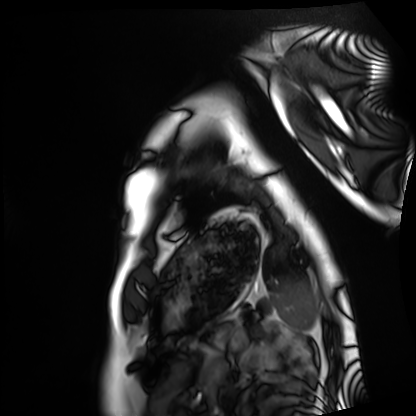
modality=cardiac MRI | subject group=healthy volunteer.